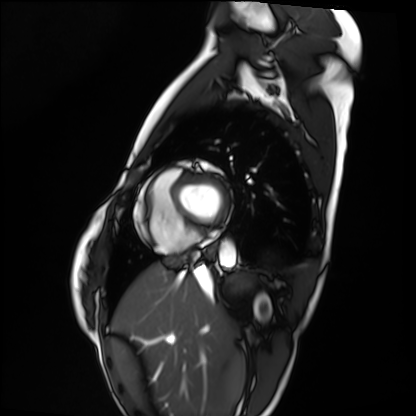
Case summary:
Cardiac MRI. Subject group: healthy volunteer.